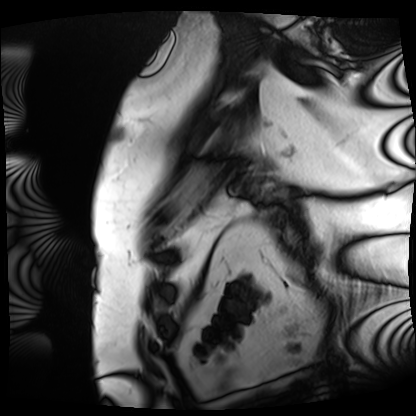
Cardiac MRI.
Subject group: patient.